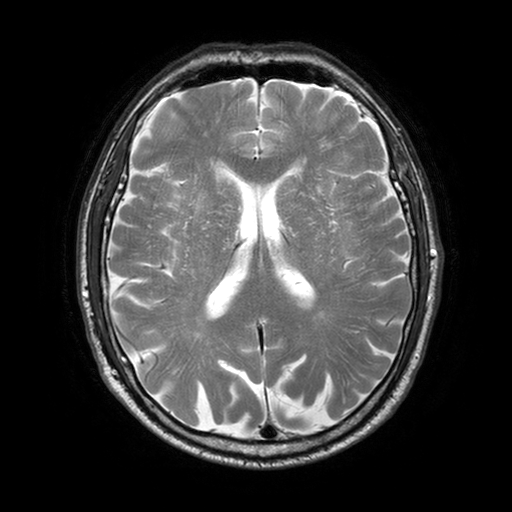
Case summary:
3 Tesla brain MRI. Series: T2-weighted turbo spin echo with SENSE. Study: ring-enhancing brain masses.